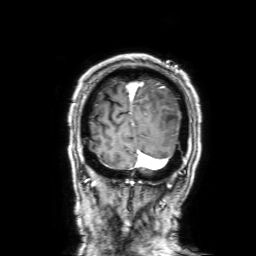
Q: What kind of scan is this?
A: 3 Tesla brain MRI.
Q: Series?
A: 3D T1-weighted with SENSE.
Study: ring-enhancing brain masses.